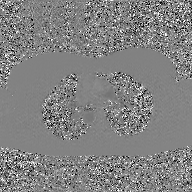
2D phase-contrast cine MRI of the ascending aorta, GAN super-resolution reconstruction.